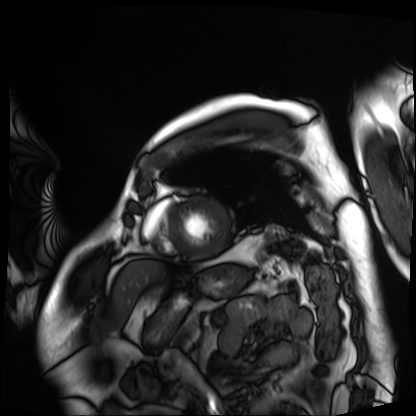
* modality — cardiac MRI
* subject group — patient